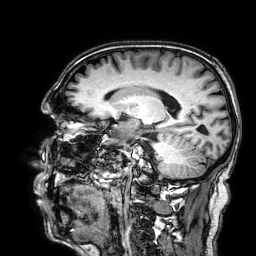
3 Tesla brain MRI. Series: 3D T1-weighted. Study: ring-enhancing brain masses.